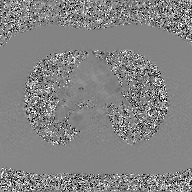
2D phase-contrast cine MRI of the ascending aorta, GAN super-resolution reconstruction.